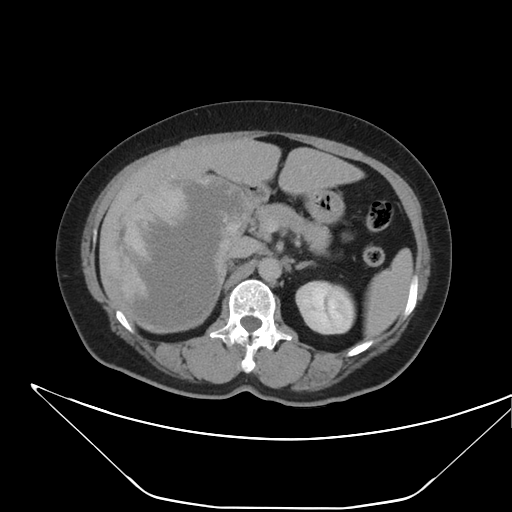
{
  "modality": {
    "type": "multiphase abdominal CT",
    "region": "liver",
    "phase": "delayed"
  },
  "patient": {
    "sex": "female",
    "age": 62
  }
}